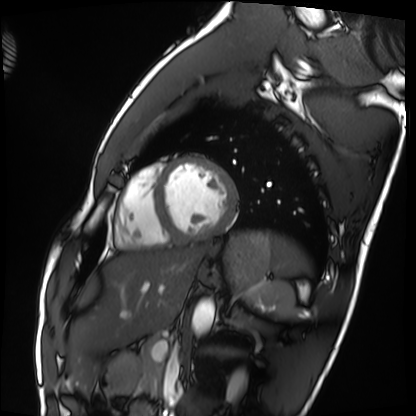
modality: cardiac MRI | subject group: healthy volunteer.